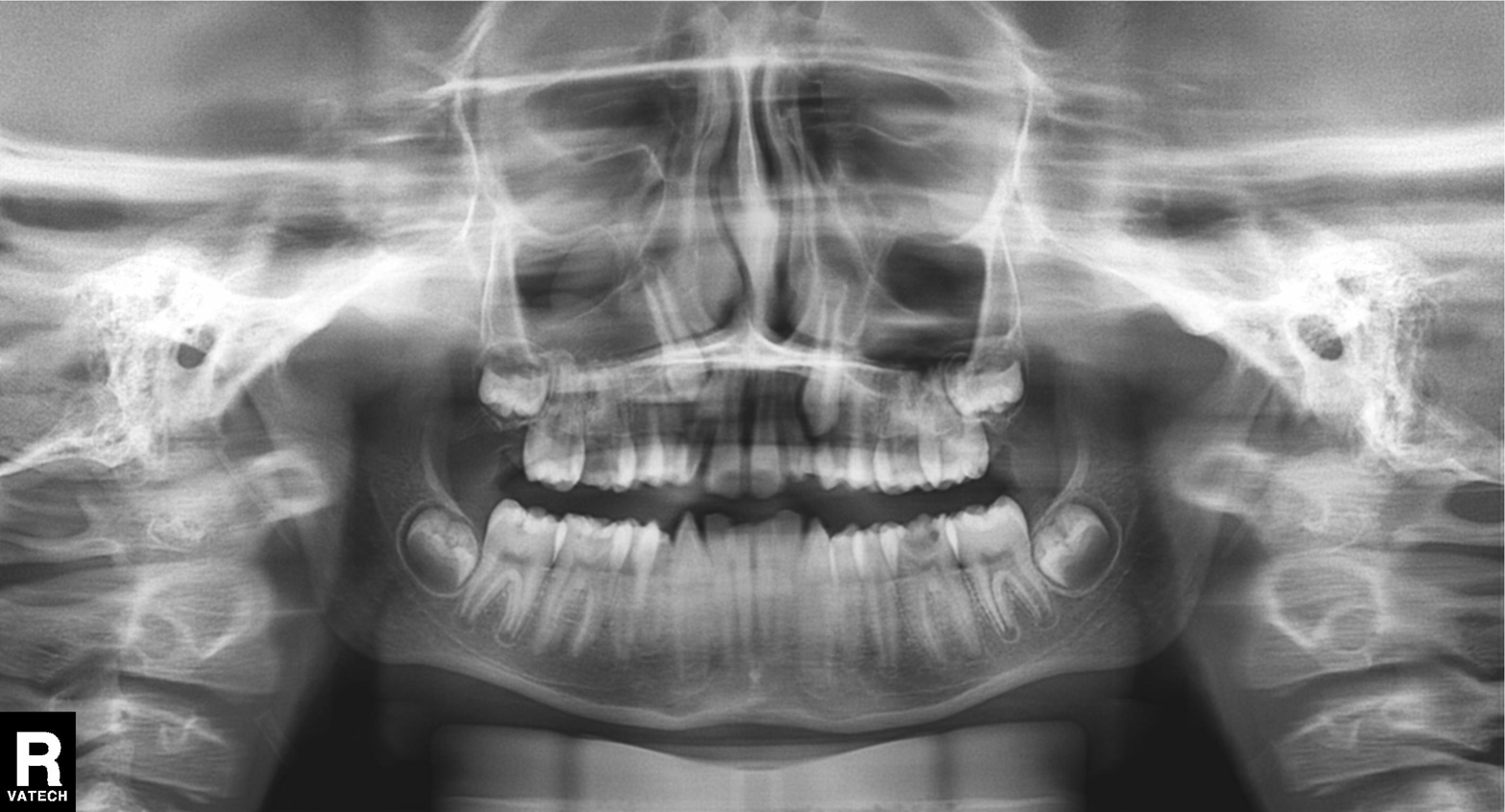
Q: What kind of scan is this?
A: Panoramic dental radiograph (orthopantomogram).
Q: What is the radiographic finding?
A: Alveolar bone loss.